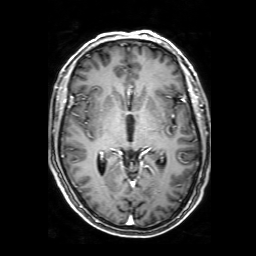
<scan>
  <modality>
    <type>brain MRI</type>
    <field_strength>3T</field_strength>
  </modality>
  <series>3D T1-weighted with SENSE</series>
  <study_topic>ring-enhancing brain masses</study_topic>
</scan>